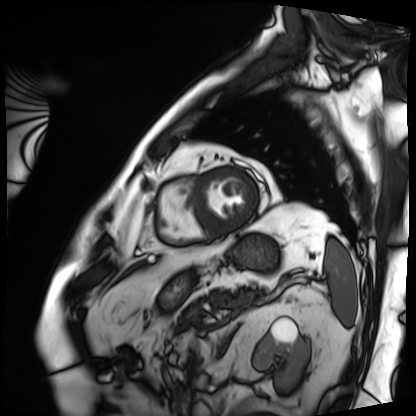
Cardiac MRI. Subject group: patient.